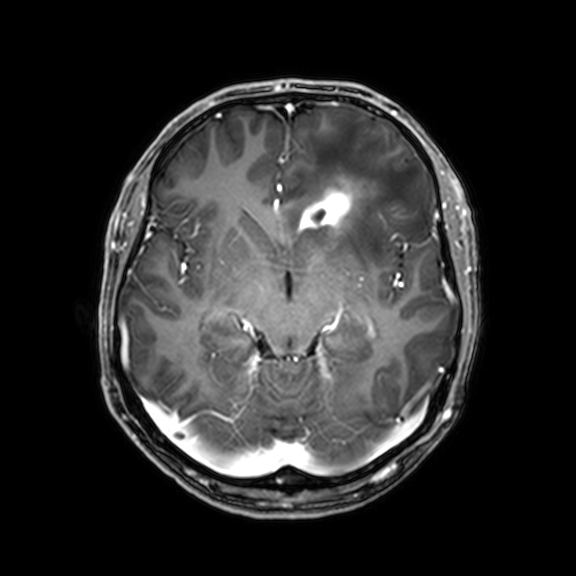
modality:
  type: brain MRI
  field_strength: 3T
series: 3D T1-weighted with CLEAR
study_topic: ring-enhancing brain masses